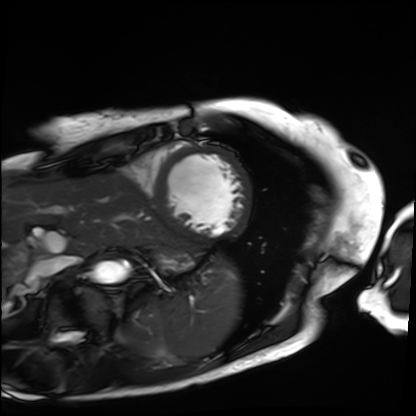
Q: What kind of scan is this?
A: Cardiac MRI.
Subject group: patient.